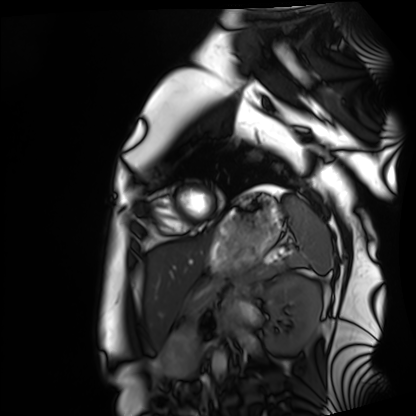
modality = cardiac MRI; subject group = healthy volunteer.